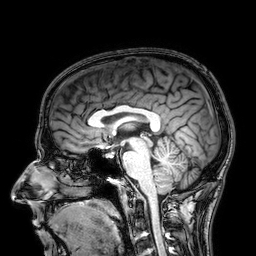
* modality · 3 Tesla brain MRI
* series · 3D T1-weighted
* study · ring-enhancing brain masses